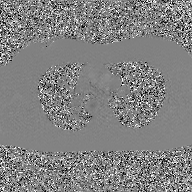
– modality · 2D phase-contrast cine MRI of the ascending aorta, GAN super-resolution reconstruction